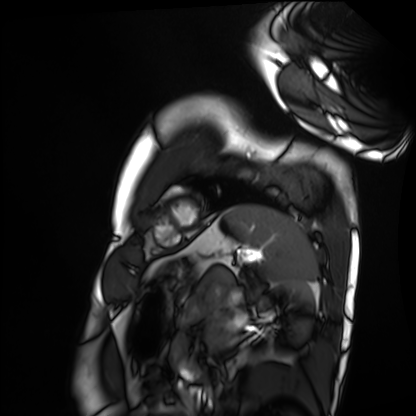
modality = cardiac MRI; subject group = healthy volunteer.